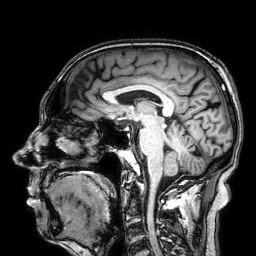
3 Tesla brain MRI. Series: 3D T1-weighted. Study: ring-enhancing brain masses.